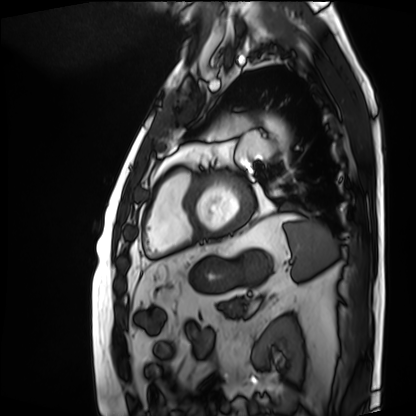
Cardiac MRI.
Subject group: patient.